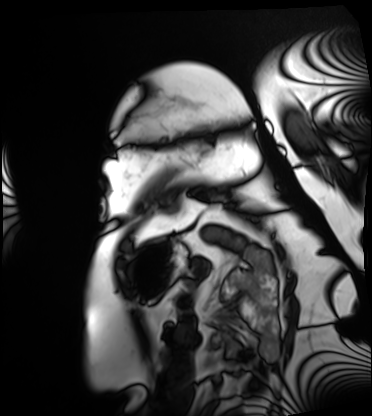
  modality: cardiac MRI
  cohort: patient